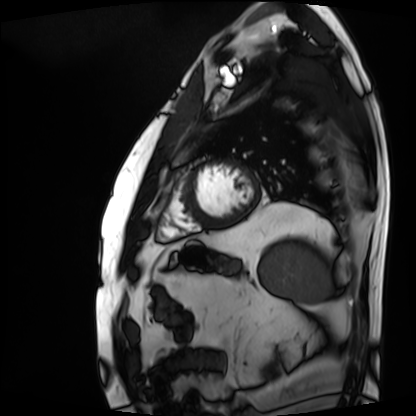
Clinical context: Cardiac MRI. Subject group: patient.